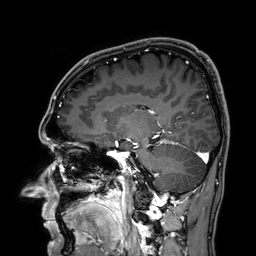
Summary:
3 Tesla brain MRI. Series: 3D T1-weighted. Study: ring-enhancing brain masses.